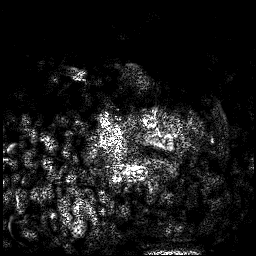
3 Tesla brain MRI. Series: 3D T1-weighted. Study: ring-enhancing brain masses.